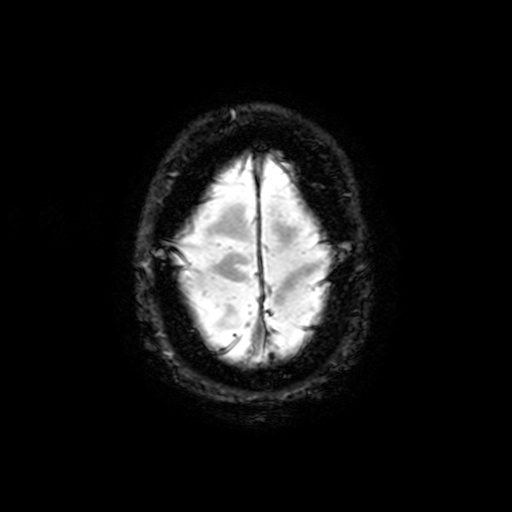
modality:
  type: brain MRI
  field_strength: 3T
series: T2-weighted fast field echo with SENSE
study_topic: ring-enhancing brain masses